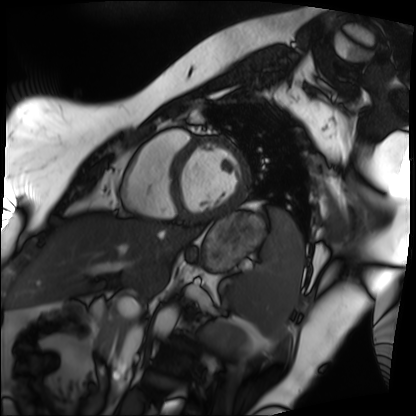
- modality — cardiac MRI
- subject group — patient